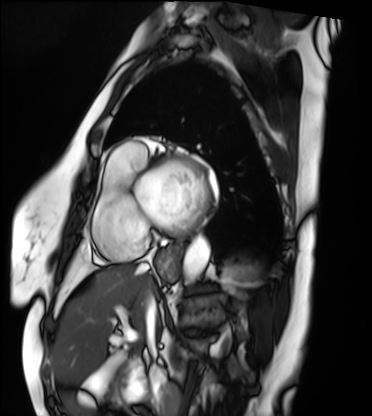
Cardiac MRI.
Subject group: patient.